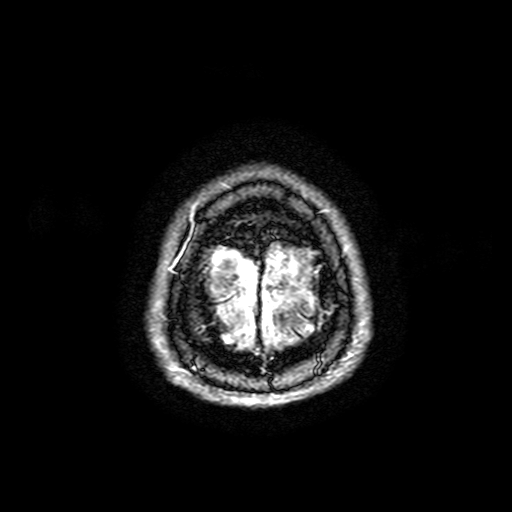
<record>
<modality>
  <type>brain MRI</type>
  <field_strength>3T</field_strength>
</modality>
<series>FLAIR with SPAIR, 3 mm</series>
<study_topic>ring-enhancing brain masses</study_topic>
</record>